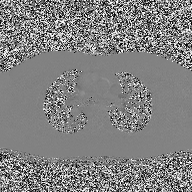
modality: 2D phase-contrast cine MRI of the ascending aorta.